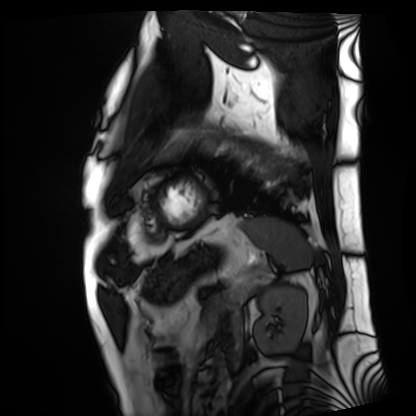
Clinical context:
Cardiac MRI. Subject group: patient.